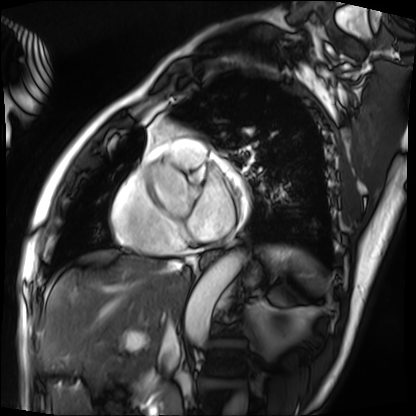
modality: cardiac MRI
cohort: patient